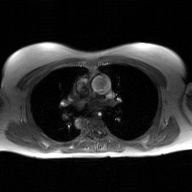
Summary: 2D phase-contrast cine MRI of the ascending aorta, GAN super-resolution reconstruction.